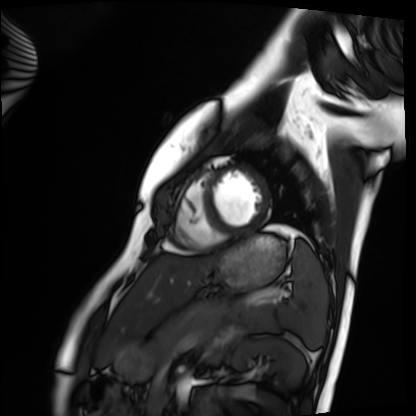
<case>
  <modality>cardiac MRI</modality>
  <cohort>healthy volunteer</cohort>
</case>